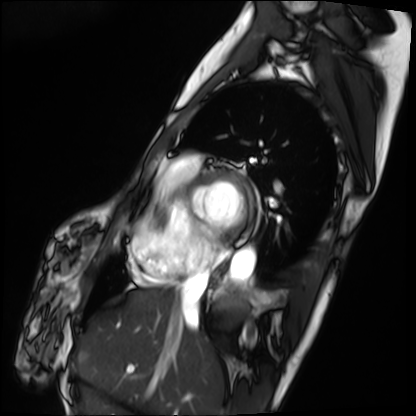
Cardiac MRI. Subject group: patient.